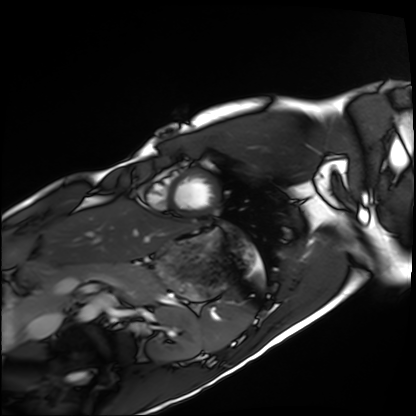
Cardiac MRI.
Subject group: healthy volunteer.